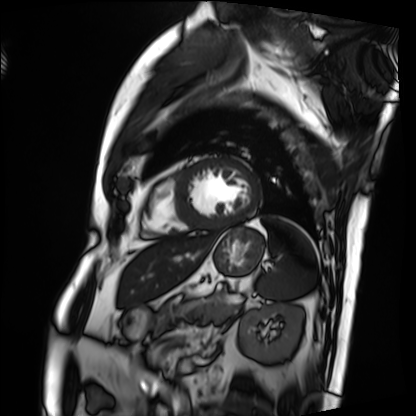
Cardiac MRI.
Subject group: patient.